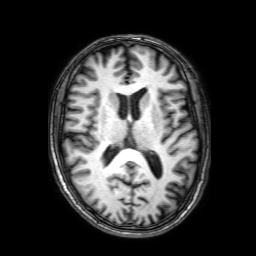
modality:
  type: brain MRI
  field_strength: 3T
series: 3D T1-weighted with SENSE
study_topic: ring-enhancing brain masses